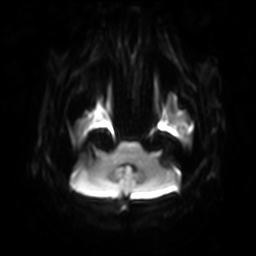
modality = 3 Tesla brain MRI
series = diffusion-weighted imaging with SENSE (WIP)
study = ring-enhancing brain masses